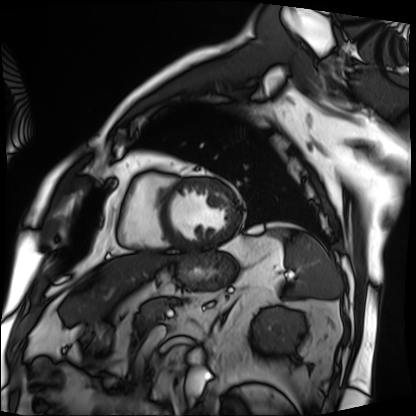
• modality — cardiac MRI
• subject group — patient